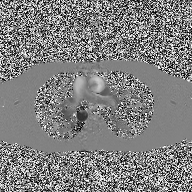
– modality: 2D phase-contrast cine MRI of the ascending aorta